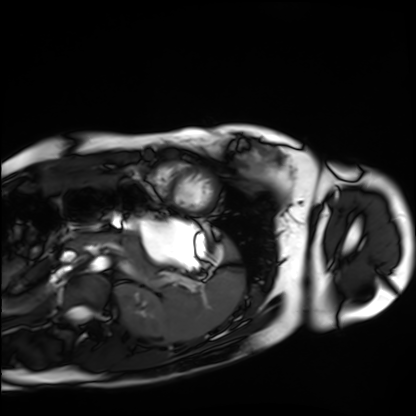
{
  "modality": "cardiac MRI",
  "cohort": "healthy volunteer"
}